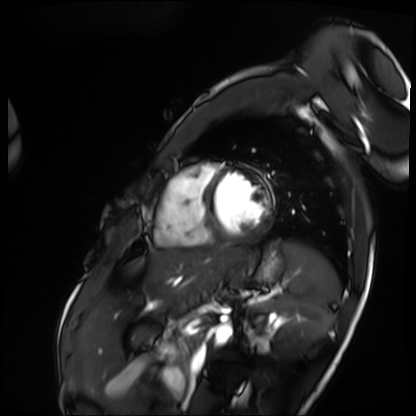
Q: What kind of scan is this?
A: Cardiac MRI.
Subject group: patient.